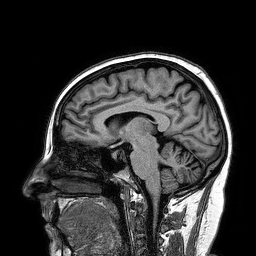
Case:
- modality — 3 Tesla brain MRI
- series — 3D T1-weighted turbo field echo
- study — ring-enhancing brain masses